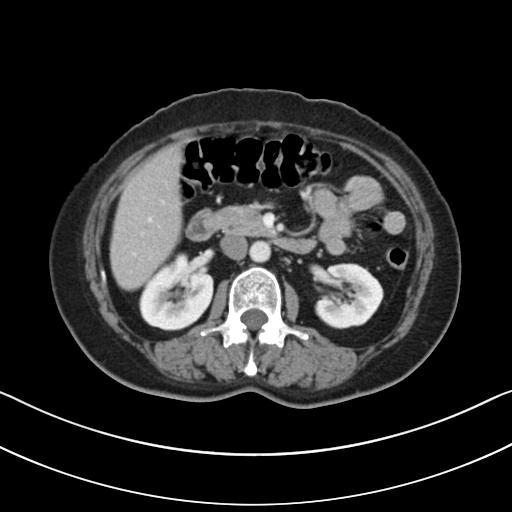
Clinical context:
Multiphase abdominal CT, liver, portal venous phase. Patient: female, age 52.